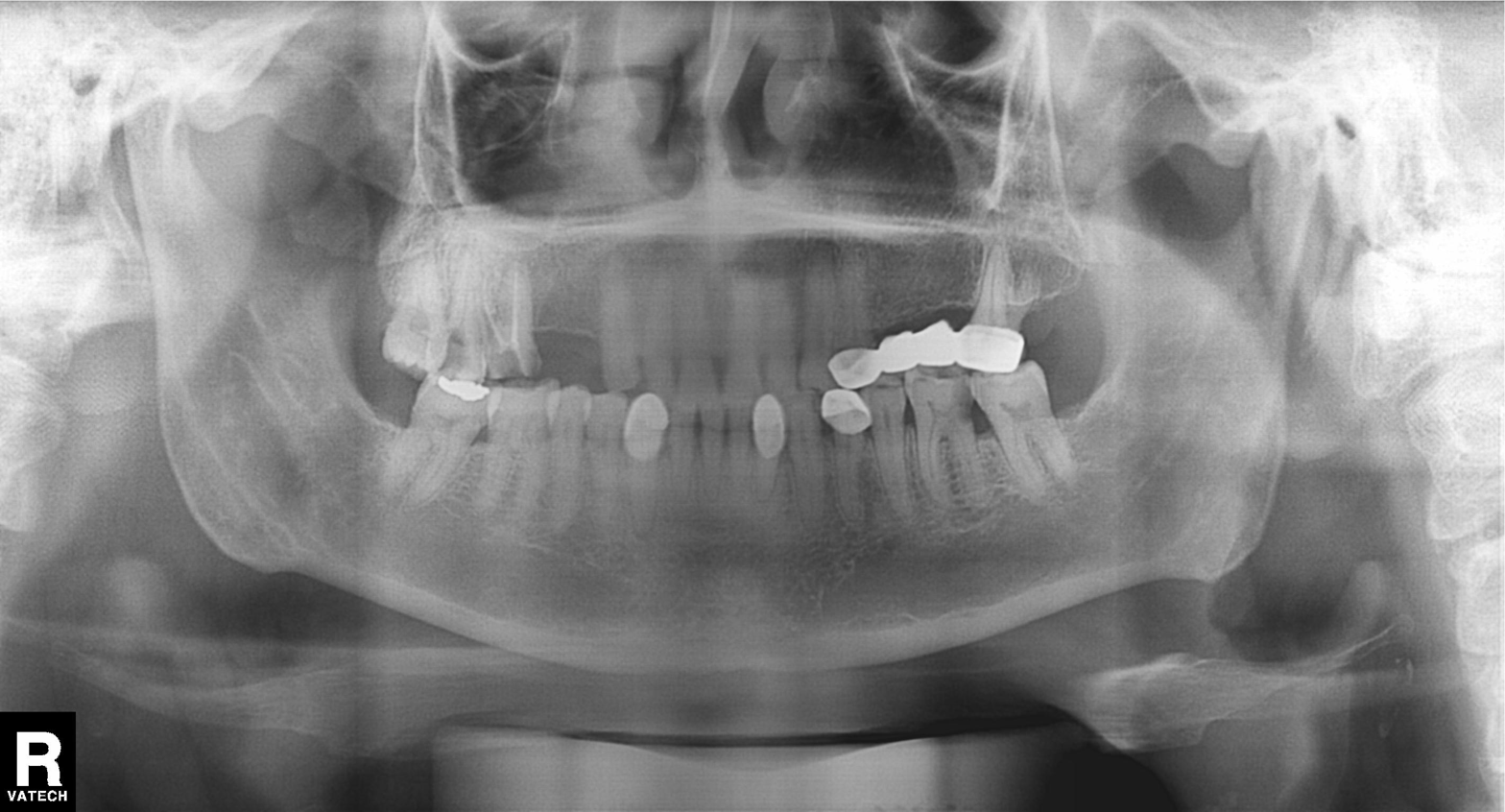
Panoramic dental radiograph (orthopantomogram).
Finding: tooth impaction.